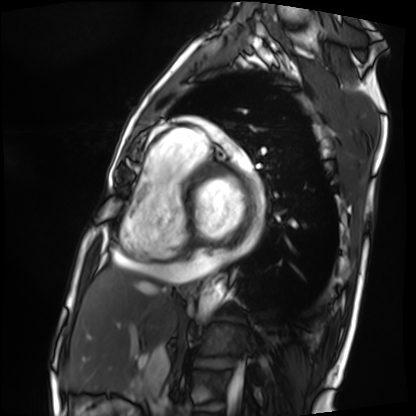
Clinical context:
Cardiac MRI. Subject group: patient.